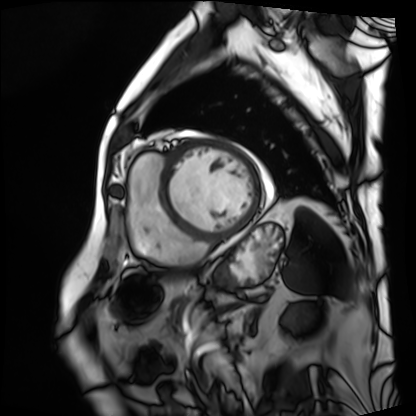
modality: cardiac MRI | subject group: patient.